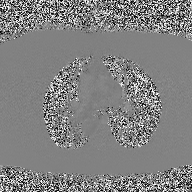
2D phase-contrast cine MRI of the ascending aorta, high-resolution GRAPPA acquisition.